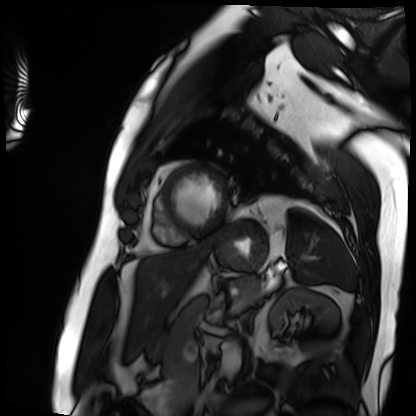
Cardiac MRI. Subject group: patient.